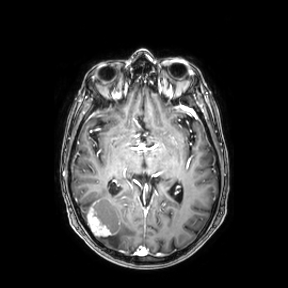
modality = 3 Tesla brain MRI; series = axial; study = ring-enhancing brain masses.